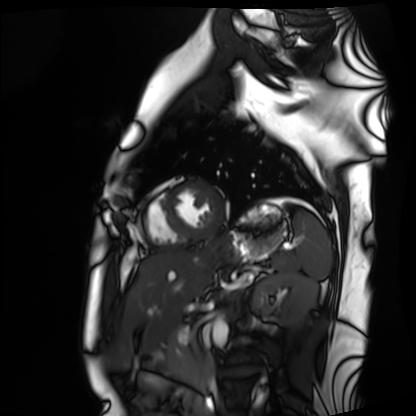
Q: What kind of scan is this?
A: Cardiac MRI.
Subject group: healthy volunteer.